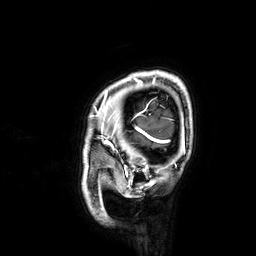
modality: 3 Tesla brain MRI
series: 3D T1-weighted
study: ring-enhancing brain masses